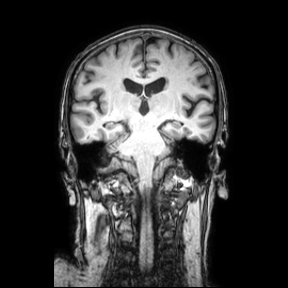
modality = 3 Tesla brain MRI | series = coronal | study = ring-enhancing brain masses.